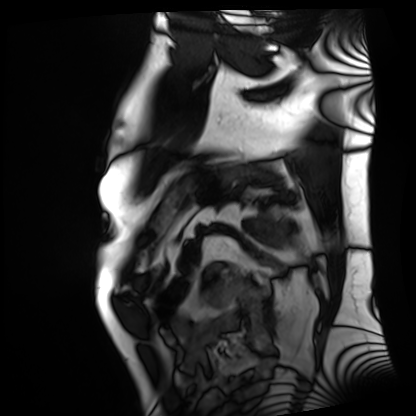
– modality · cardiac MRI
– subject group · patient